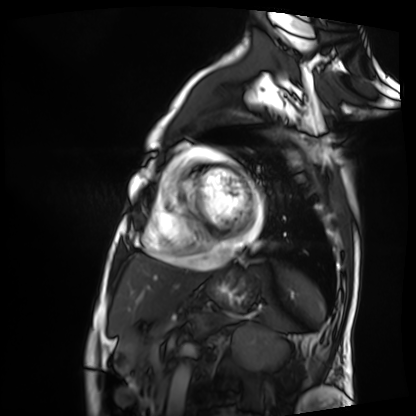
Cardiac MRI. Subject group: patient.